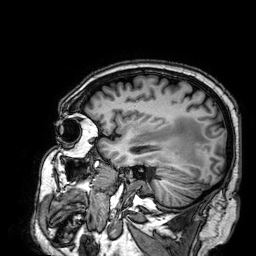
Summary:
3 Tesla brain MRI. Series: 3D T1-weighted. Study: ring-enhancing brain masses.